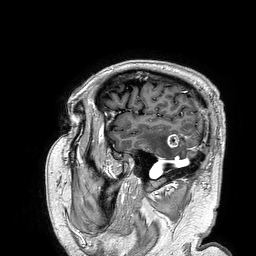
<case>
  <modality>
    <type>brain MRI</type>
    <field_strength>3T</field_strength>
  </modality>
  <series>3D T1-weighted turbo field echo</series>
  <study_topic>ring-enhancing brain masses</study_topic>
</case>